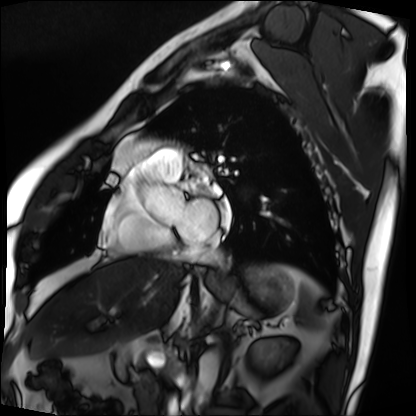
Q: What kind of scan is this?
A: Cardiac MRI.
Subject group: patient.